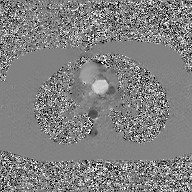
- modality: 2D phase-contrast cine MRI of the ascending aorta, GAN super-resolution reconstruction